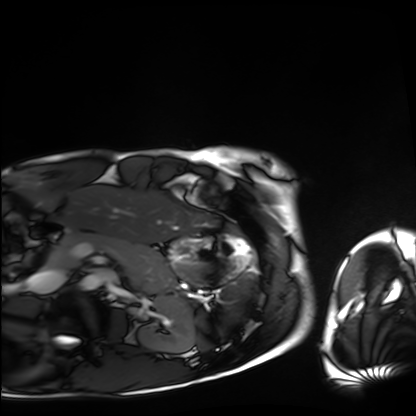
Cardiac MRI.
Subject group: healthy volunteer.